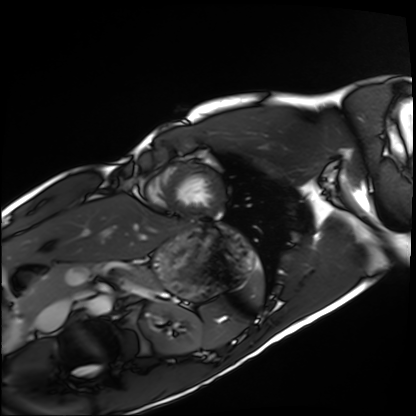
Summary:
Cardiac MRI. Subject group: healthy volunteer.